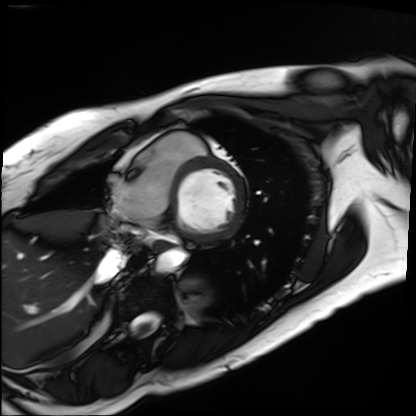
modality=cardiac MRI
subject group=patient